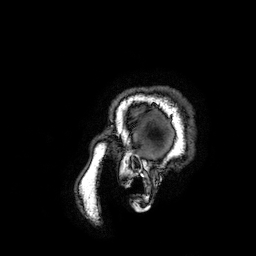
3 Tesla brain MRI. Series: 3D T1-weighted turbo field echo with SENSE. Study: ring-enhancing brain masses.